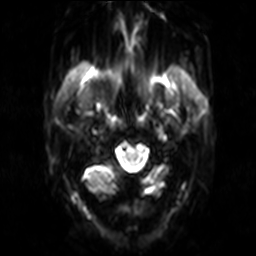
Summary:
3 Tesla brain MRI. Series: diffusion-weighted imaging. Study: ring-enhancing brain masses.